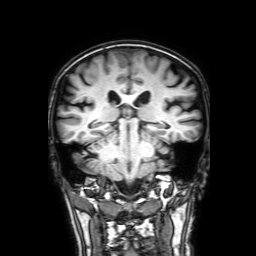
Clinical context: 3 Tesla brain MRI. Study: ring-enhancing brain masses.